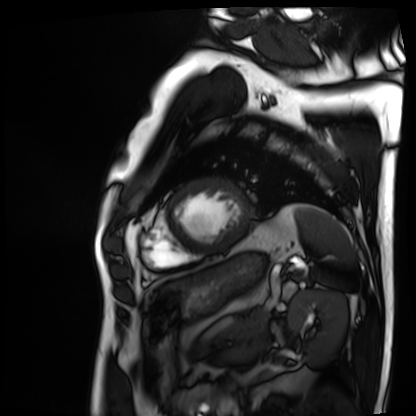
Cardiac MRI. Subject group: patient.